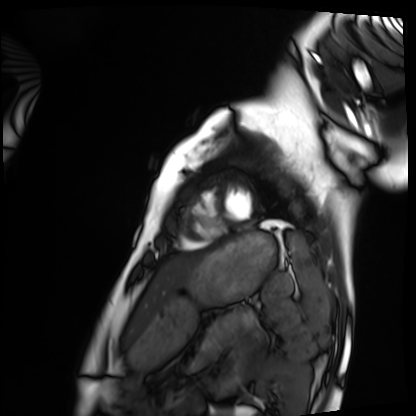
modality: cardiac MRI, subject group: healthy volunteer.